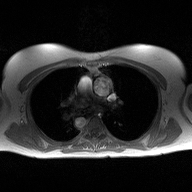
2D phase-contrast cine MRI of the ascending aorta, high-resolution GRAPPA acquisition.